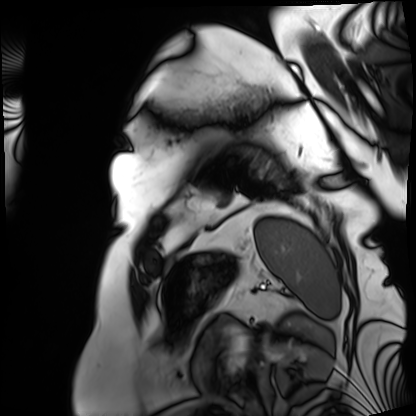
modality: cardiac MRI
subject group: patient